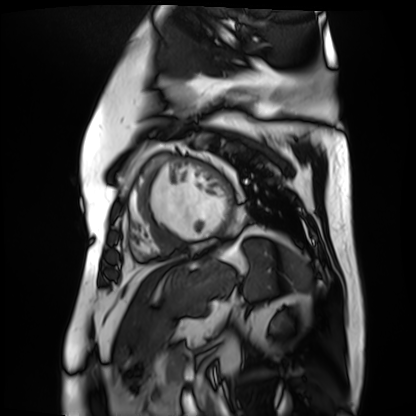
Cardiac MR image of the myocardium. Subject cohort: cardiac patient.